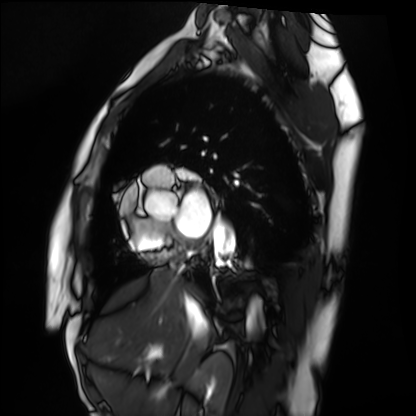
– modality · cardiac MRI
– subject group · healthy volunteer